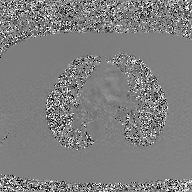
{
  "modality": {
    "type": "2D phase-contrast cine MRI",
    "region": "ascending aorta",
    "reconstruction": "GAN super-resolution reconstruction"
  }
}